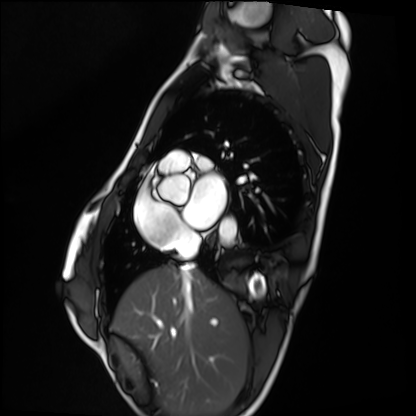
Case summary: Cardiac MRI. Subject group: healthy volunteer.